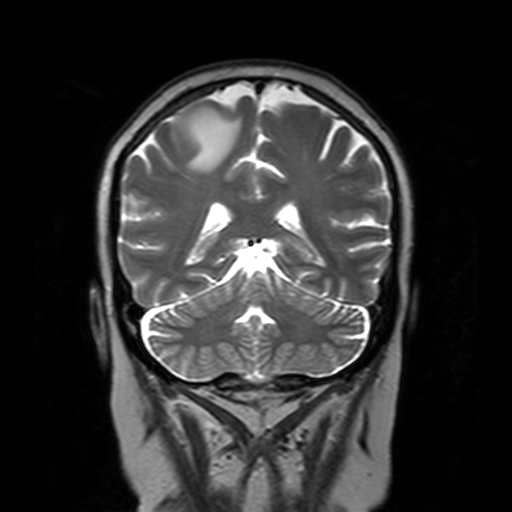
modality = 3 Tesla brain MRI; series = T2-weighted turbo spin echo with SENSE; study = ring-enhancing brain masses.